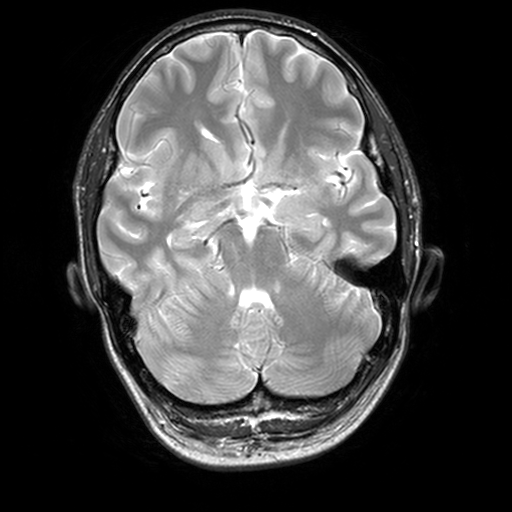
<study>
  <modality>
    <type>brain MRI</type>
    <field_strength>3T</field_strength>
  </modality>
  <series>T2-weighted turbo spin echo, 3 mm</series>
  <study_topic>ring-enhancing brain masses</study_topic>
</study>